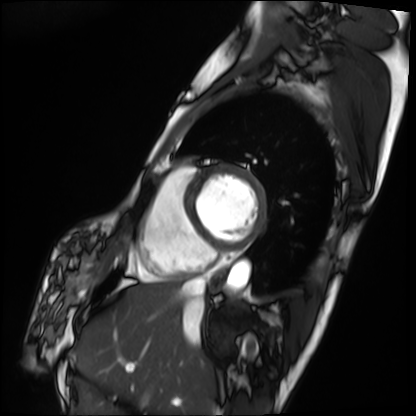
Q: What kind of scan is this?
A: Cardiac MRI.
Subject group: patient.